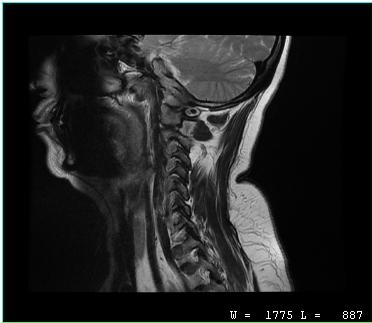
Case:
– modality · MRI of the cervical spine
– study · cervical spondylosis